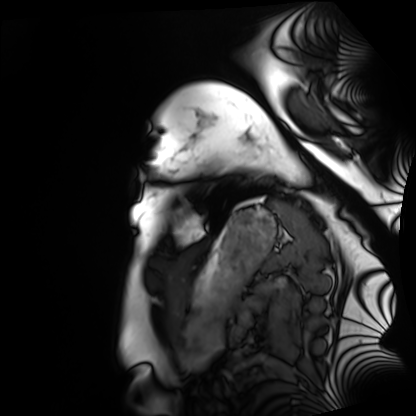
Summary: Cardiac MRI. Subject group: healthy volunteer.